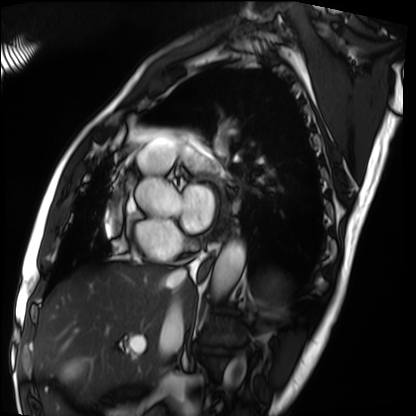
Cardiac MRI.
Subject group: patient.